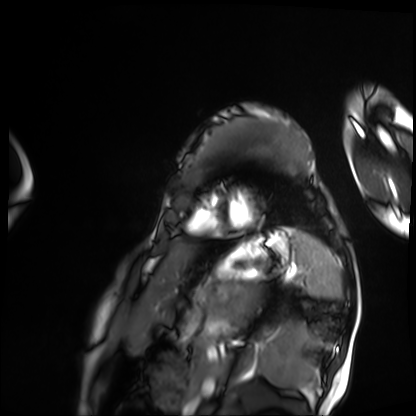
modality = cardiac MRI; subject group = patient.